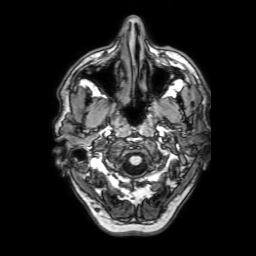
- modality · 3 Tesla brain MRI
- series · 3D T1-weighted with SENSE
- study · ring-enhancing brain masses